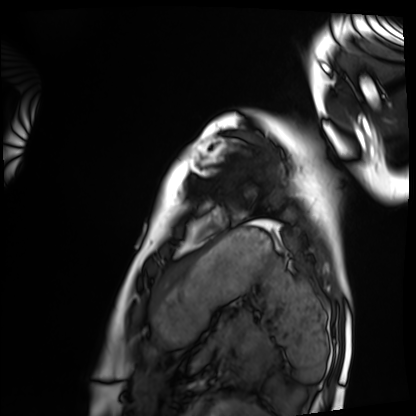
Cardiac MRI. Subject group: healthy volunteer.